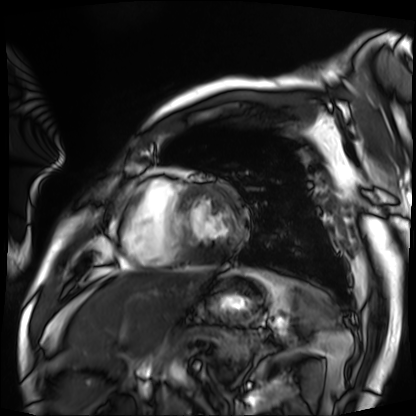
Cardiac MRI.
Subject group: patient.